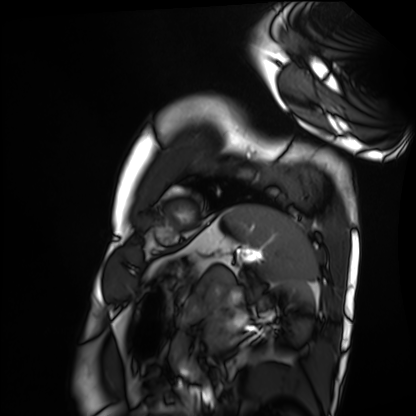
Q: What kind of scan is this?
A: Cardiac MRI.
Subject group: healthy volunteer.